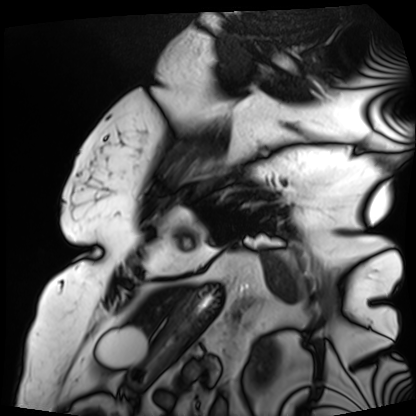
modality: cardiac MRI, subject group: patient.